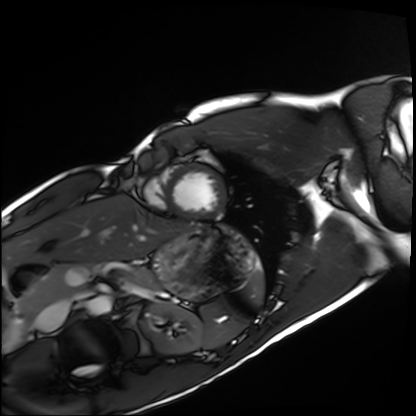
Case summary: Cardiac MRI. Subject group: healthy volunteer.